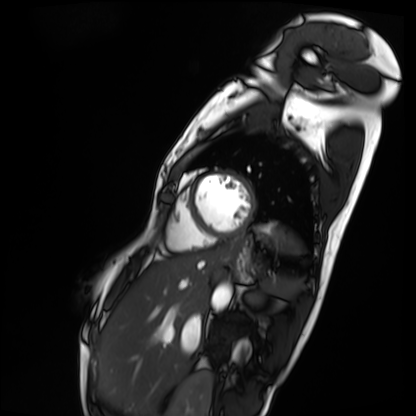
modality: cardiac MRI
cohort: patient